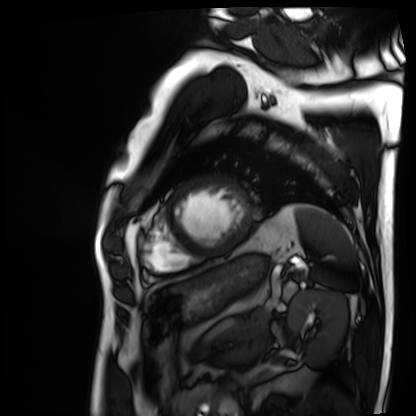
Cardiac MRI.
Subject group: patient.